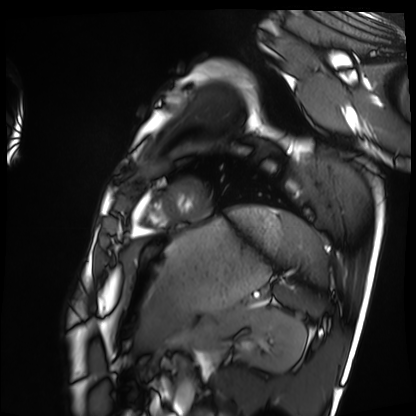
Cardiac MRI. Subject group: healthy volunteer.